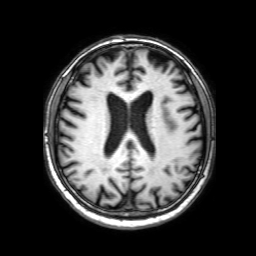
Summary: 3 Tesla brain MRI. Series: 3D T1-weighted with SENSE. Study: ring-enhancing brain masses.